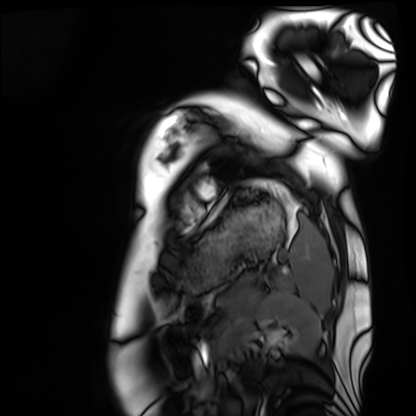
| field | value |
|---|---|
| modality | cardiac MRI |
| subject group | healthy volunteer |